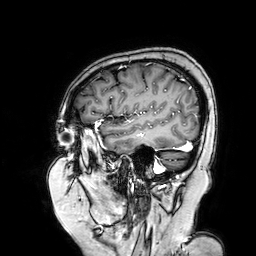
3 Tesla brain MRI. Series: 3D T1-weighted turbo field echo with SENSE. Study: ring-enhancing brain masses.